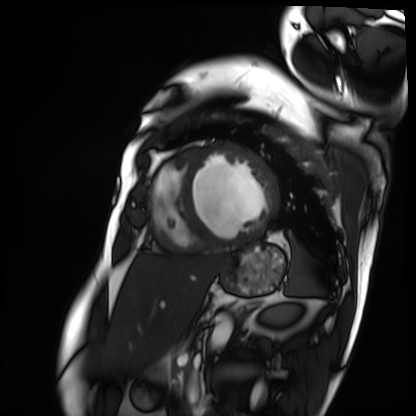
Q: What kind of scan is this?
A: Cardiac MRI.
Subject group: patient.